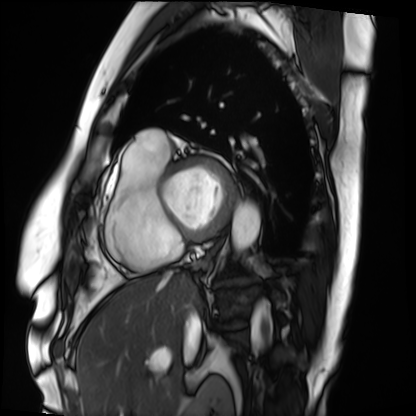
{"modality": "cardiac MRI", "cohort": "patient"}